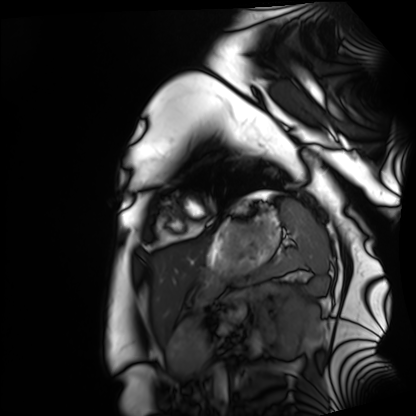
Cardiac MRI. Subject group: healthy volunteer.